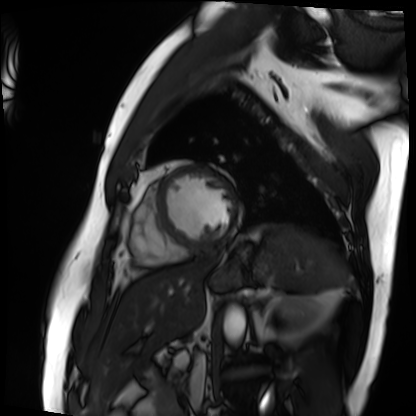
{"modality": "cardiac MRI", "cohort": "patient"}